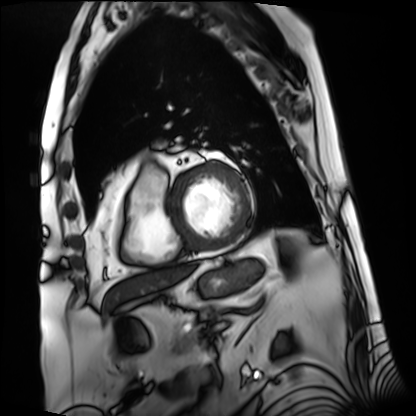
Cardiac MRI.
Subject group: patient.